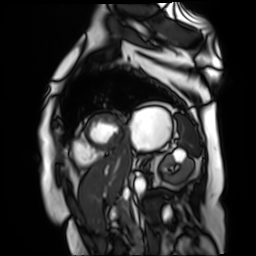
Q: What kind of scan is this?
A: Cardiac MR image of the myocardium.
Subject cohort: cardiac patient.